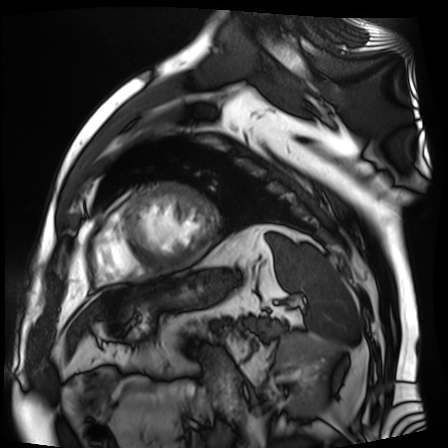
Cardiac MR image of the myocardium. Subject cohort: cardiac patient.